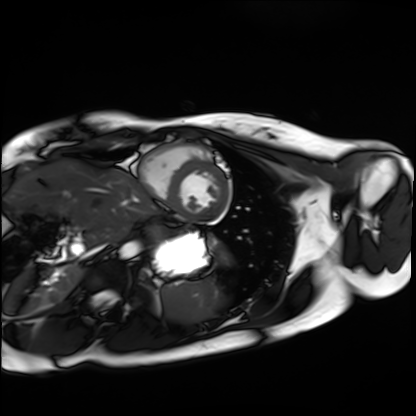
Summary:
Cardiac MRI. Subject group: healthy volunteer.